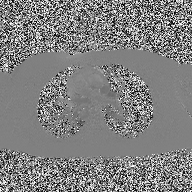
modality: 2D phase-contrast cine MRI of the ascending aorta.